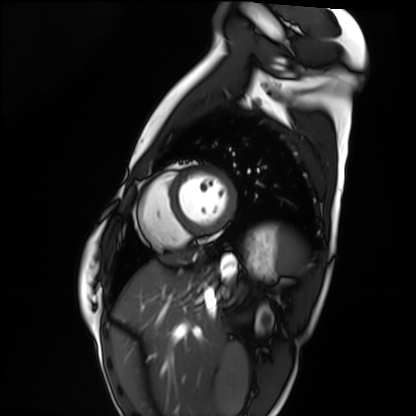
Clinical context:
Cardiac MRI. Subject group: healthy volunteer.